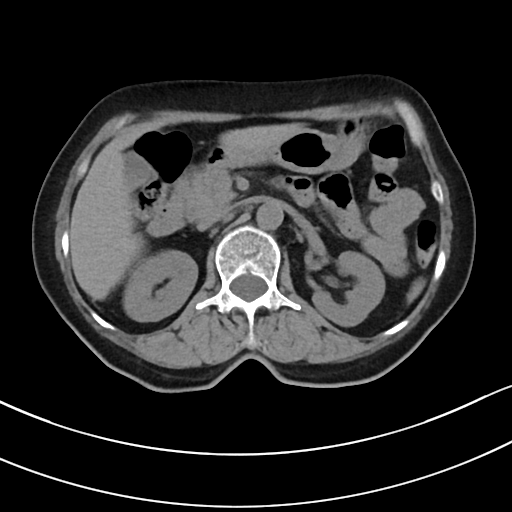
Multiphase abdominal CT, liver, non-contrast phase.
Patient: female, age 75.